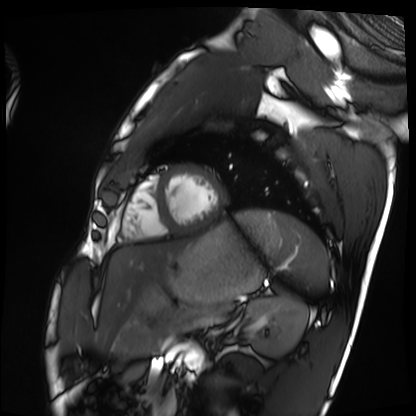
Cardiac MRI. Subject group: healthy volunteer.